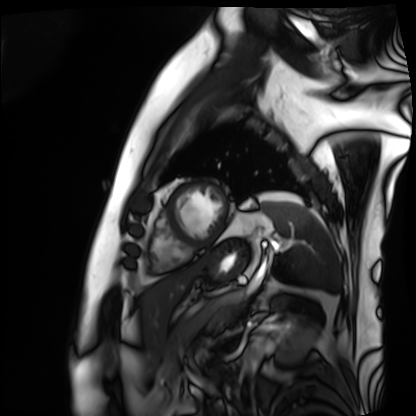
* modality · cardiac MRI
* subject group · patient